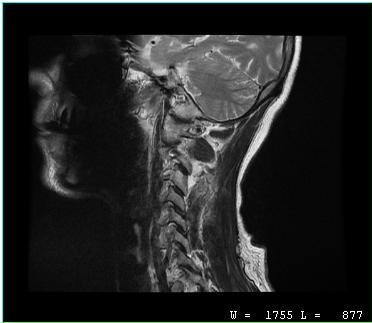
Clinical context: MRI of the cervical spine. Study: cervical spondylosis.